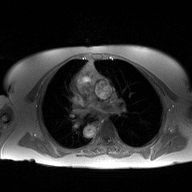
2D phase-contrast cine MRI of the ascending aorta, high-resolution GRAPPA acquisition.